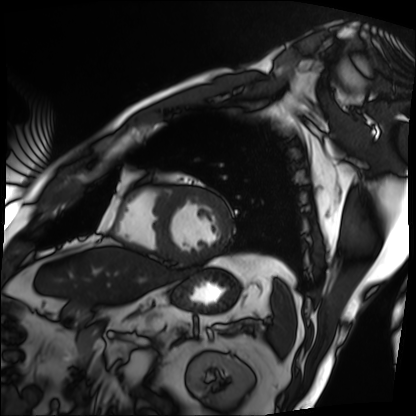
modality=cardiac MRI | subject group=patient.